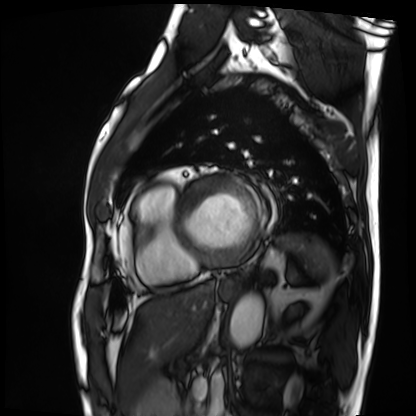
| field | value |
|---|---|
| modality | cardiac MRI |
| subject group | patient |